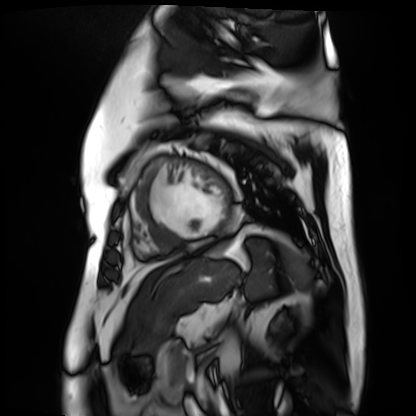
Cardiac MR image of the myocardium. Subject cohort: cardiac patient.